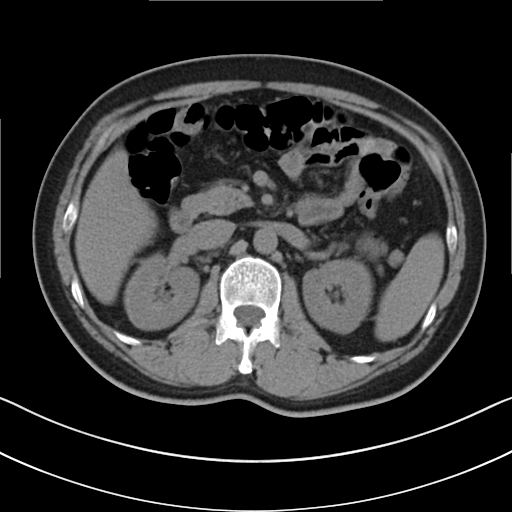
| field | value |
|---|---|
| modality | multiphase abdominal CT, liver, non-contrast phase |
| patient | male, age 48 |
| history | cirrhosis, viral hepatitis |